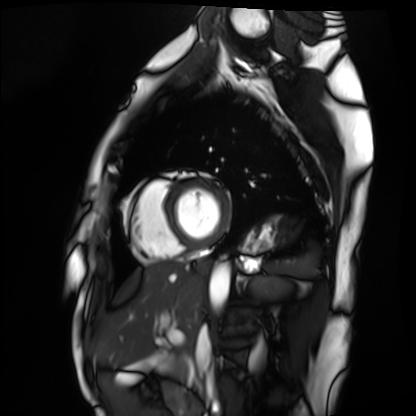
modality = cardiac MRI; subject group = healthy volunteer.